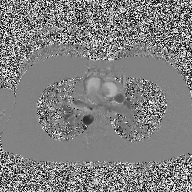
Case summary:
2D phase-contrast cine MRI of the ascending aorta, high-resolution GRAPPA acquisition.